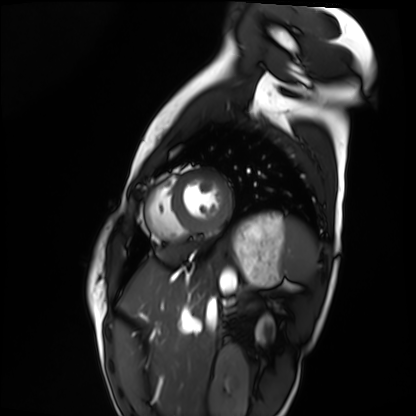
modality = cardiac MRI; subject group = healthy volunteer.